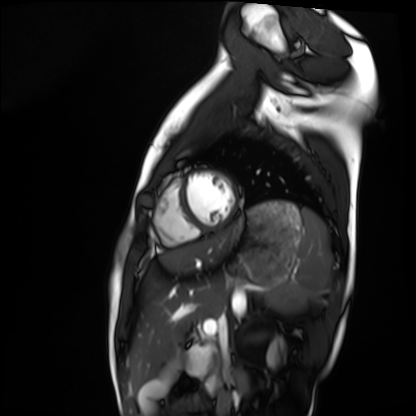
modality=cardiac MRI | subject group=healthy volunteer.